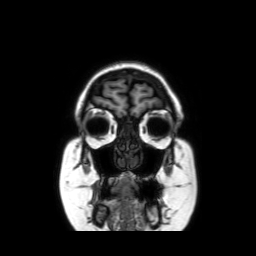
Summary: 3 Tesla brain MRI. Study: ring-enhancing brain masses.